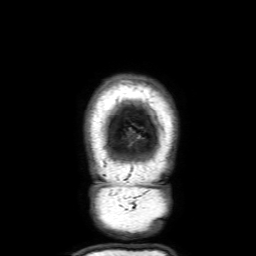
modality:
  type: brain MRI
  field_strength: 3T
series: 3D T1-weighted with SENSE
study_topic: ring-enhancing brain masses